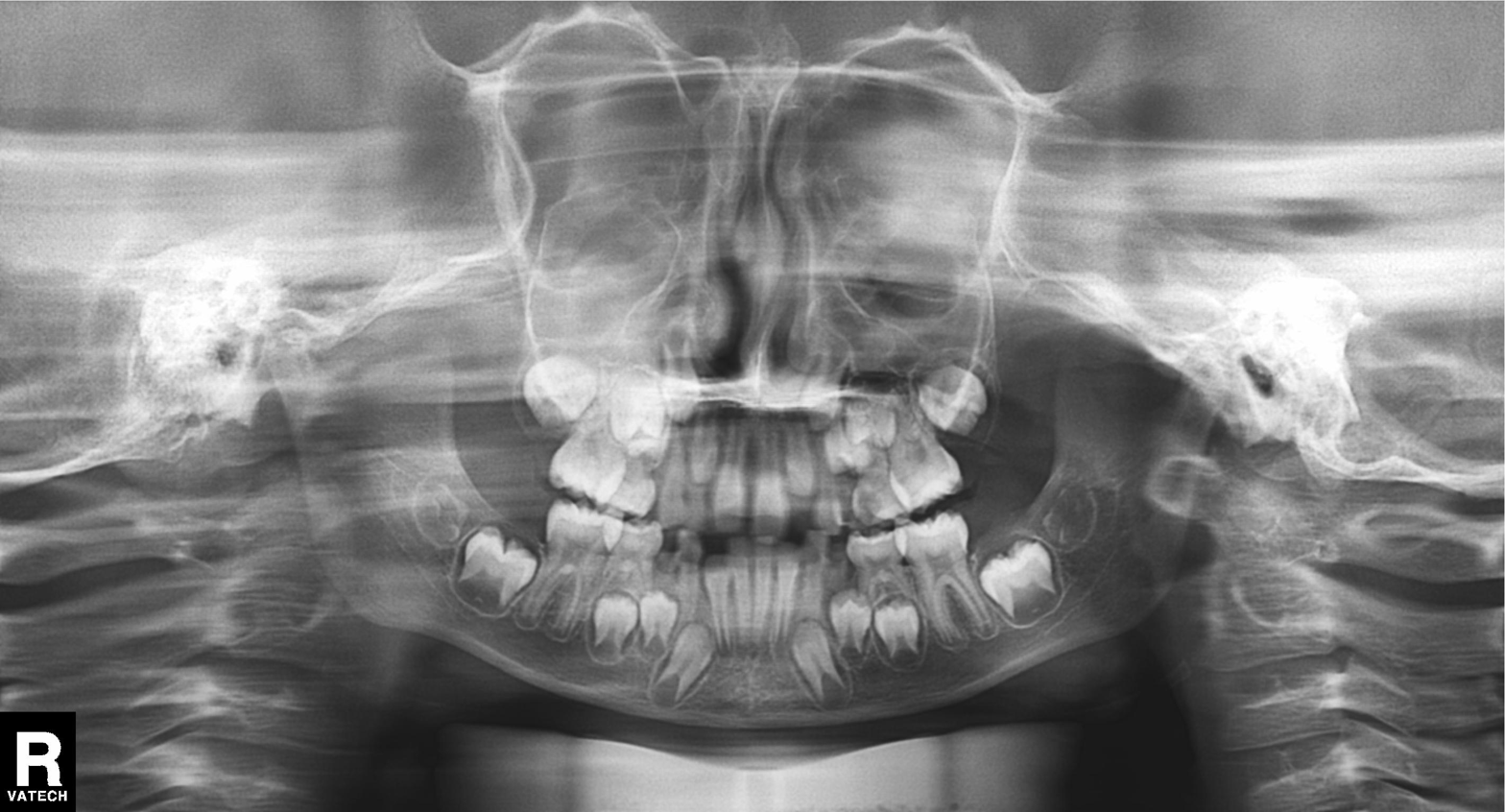
  modality: panoramic dental radiograph (orthopantomogram)
  finding: tooth impaction